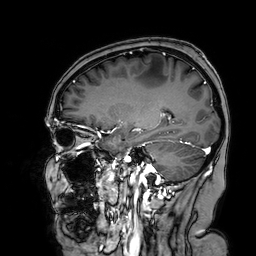
modality = 3 Tesla brain MRI
series = 3D T1-weighted turbo field echo with SENSE
study = ring-enhancing brain masses